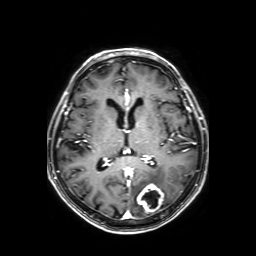
Q: What kind of scan is this?
A: 3 Tesla brain MRI.
Q: Series?
A: Axial T1-weighted fusion image.
Study: ring-enhancing brain masses.